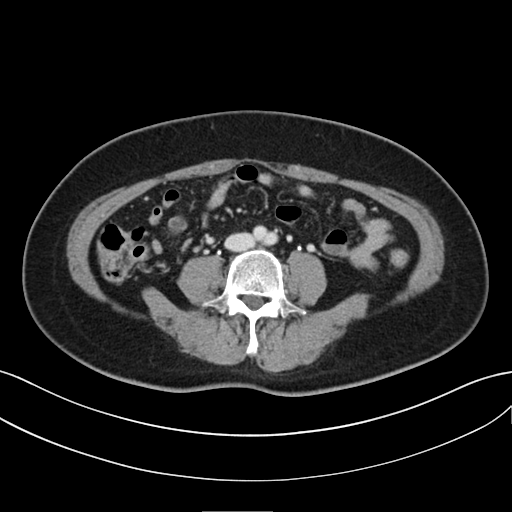
Multiphase abdominal CT, liver, delayed phase.
Patient: female, age 55.